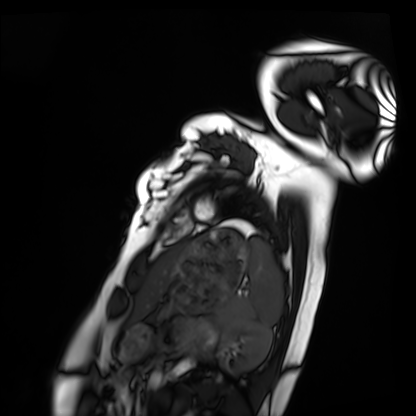
modality — cardiac MRI; subject group — healthy volunteer.